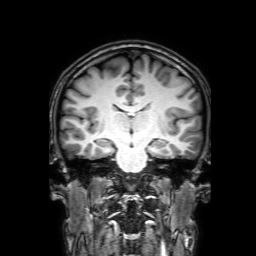
3 Tesla brain MRI.
Series: 3D T1-weighted with SENSE.
Study: ring-enhancing brain masses.